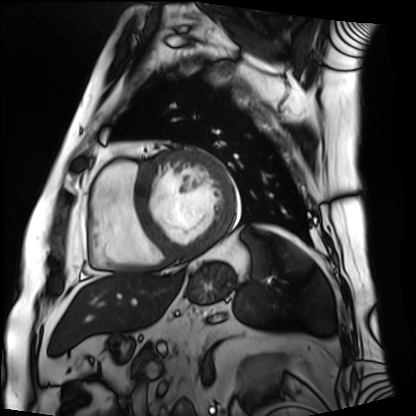
modality = cardiac MRI, subject group = patient.